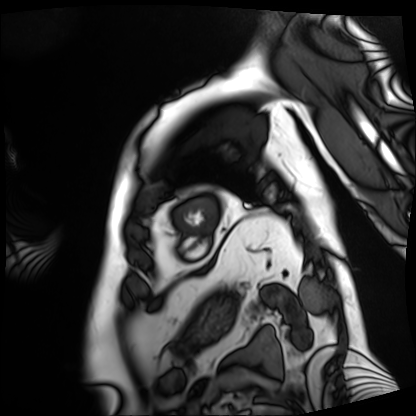
  modality: cardiac MRI
  cohort: patient